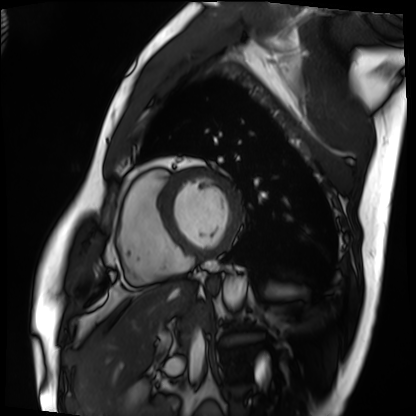
Cardiac MRI. Subject group: patient.